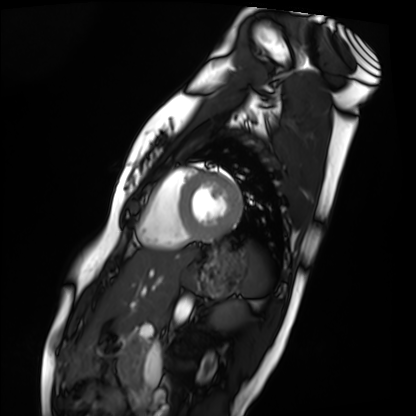
Summary: Cardiac MRI. Subject group: healthy volunteer.